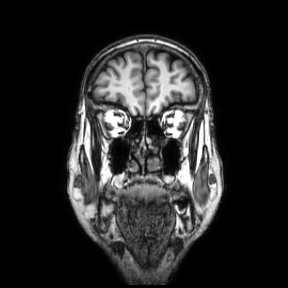
modality=3 Tesla brain MRI; study=ring-enhancing brain masses.